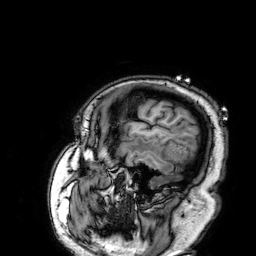
- modality · 3 Tesla brain MRI
- study · ring-enhancing brain masses